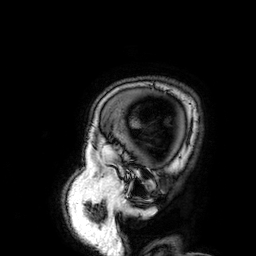
3 Tesla brain MRI.
Series: 3D T1-weighted.
Study: ring-enhancing brain masses.